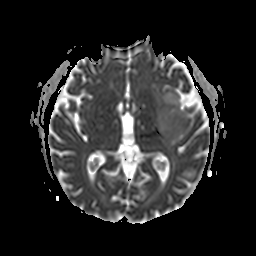
3 Tesla brain MRI. Series: apparent diffusion coefficient (ADC) map. Study: ring-enhancing brain masses.